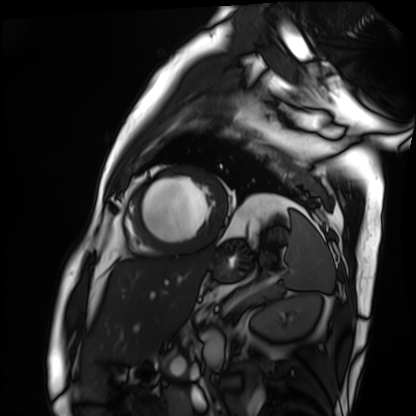
Q: What kind of scan is this?
A: Cardiac MRI.
Subject group: patient.